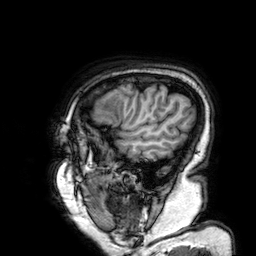
modality = 3 Tesla brain MRI; series = 3D T1-weighted; study = ring-enhancing brain masses.